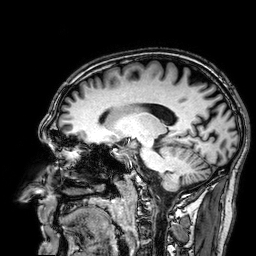
  modality:
    type: brain MRI
    field_strength: 3T
  series: 3D T1-weighted
  study_topic: ring-enhancing brain masses